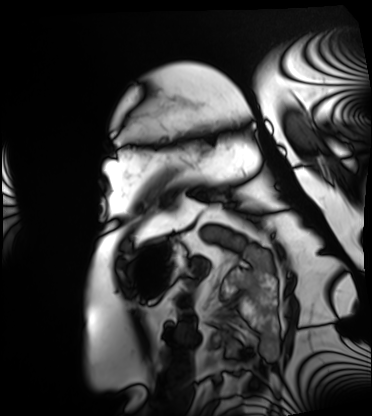
Cardiac MRI. Subject group: patient.